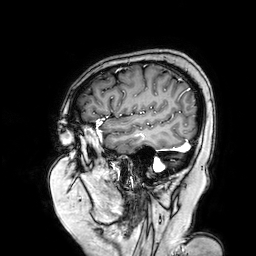
Summary:
3 Tesla brain MRI. Series: 3D T1-weighted turbo field echo with SENSE. Study: ring-enhancing brain masses.